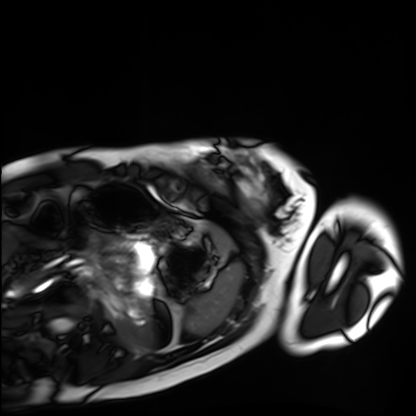
Case:
- modality: cardiac MRI
- subject group: healthy volunteer